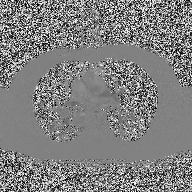
| field | value |
|---|---|
| modality | 2D phase-contrast cine MRI of the ascending aorta |